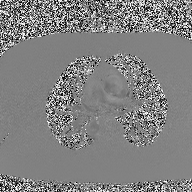
{
  "modality": {
    "type": "2D phase-contrast cine MRI",
    "region": "ascending aorta",
    "reconstruction": "high-resolution GRAPPA acquisition"
  }
}